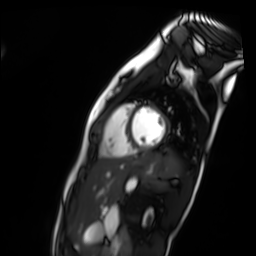
modality: cardiac MR image of the myocardium
cohort: healthy volunteer